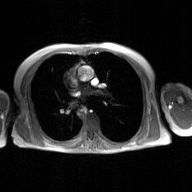
Summary:
2D phase-contrast cine MRI of the ascending aorta, GAN super-resolution reconstruction.